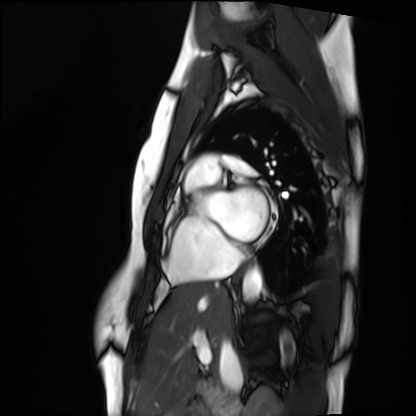
| field | value |
|---|---|
| modality | cardiac MRI |
| subject group | healthy volunteer |